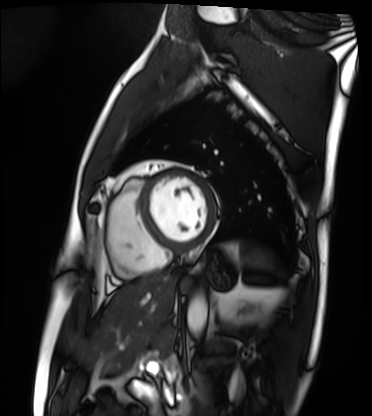
Clinical context:
Cardiac MRI. Subject group: patient.